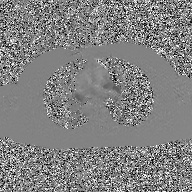
Summary:
2D phase-contrast cine MRI of the ascending aorta, GAN super-resolution reconstruction.